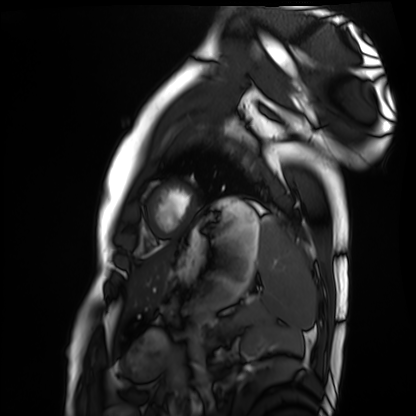
Cardiac MRI. Subject group: healthy volunteer.